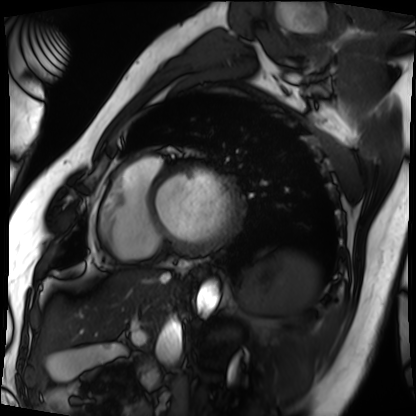
Cardiac MRI. Subject group: patient.